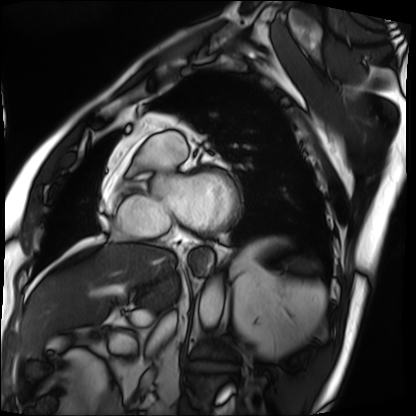
modality: cardiac MRI
cohort: patient